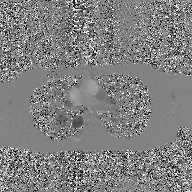
Case summary: 2D phase-contrast cine MRI of the ascending aorta, GAN super-resolution reconstruction.